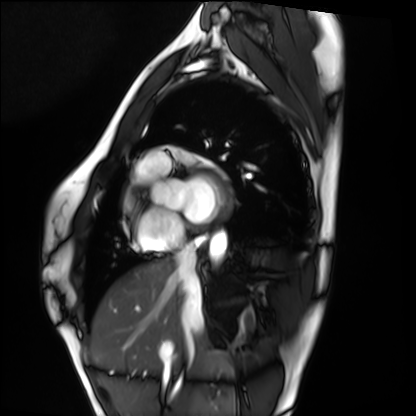
Q: What kind of scan is this?
A: Cardiac MRI.
Subject group: healthy volunteer.